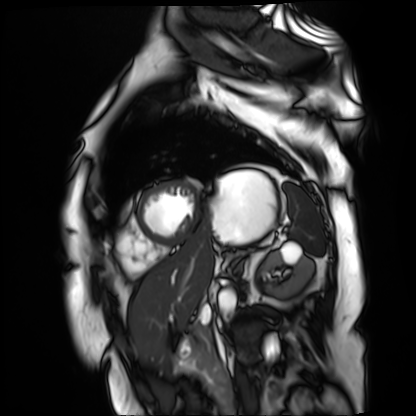
modality: cardiac MR image of the myocardium
cohort: cardiac patient